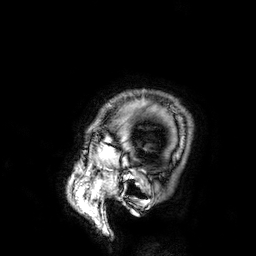
Summary: 3 Tesla brain MRI. Series: 3D T1-weighted. Study: ring-enhancing brain masses.